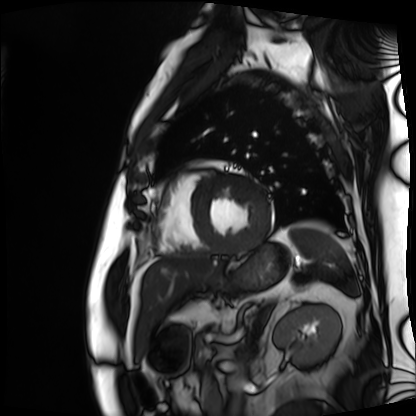
Case:
• modality: cardiac MRI
• subject group: patient